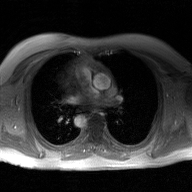
Clinical context:
2D phase-contrast cine MRI of the ascending aorta, GAN super-resolution reconstruction.